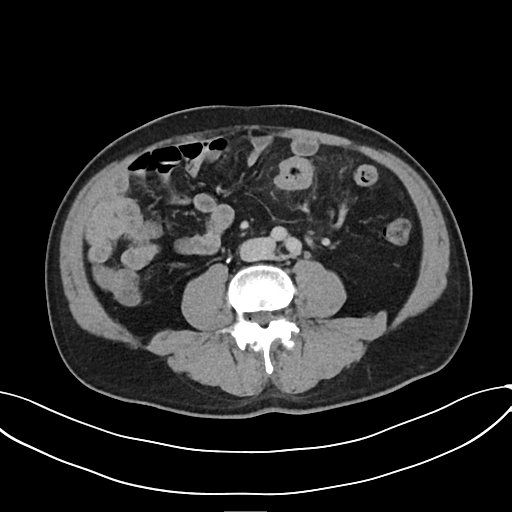
Q: What kind of scan is this?
A: Multiphase abdominal CT, liver, delayed phase.
Q: Patient?
A: Male, age 58.